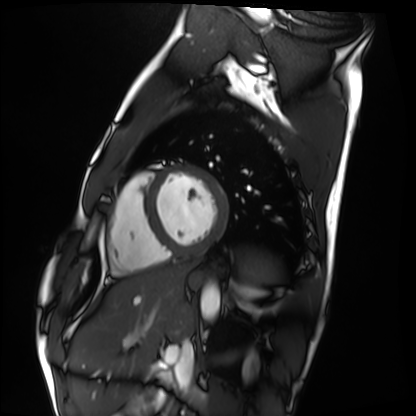
Cardiac MRI. Subject group: healthy volunteer.